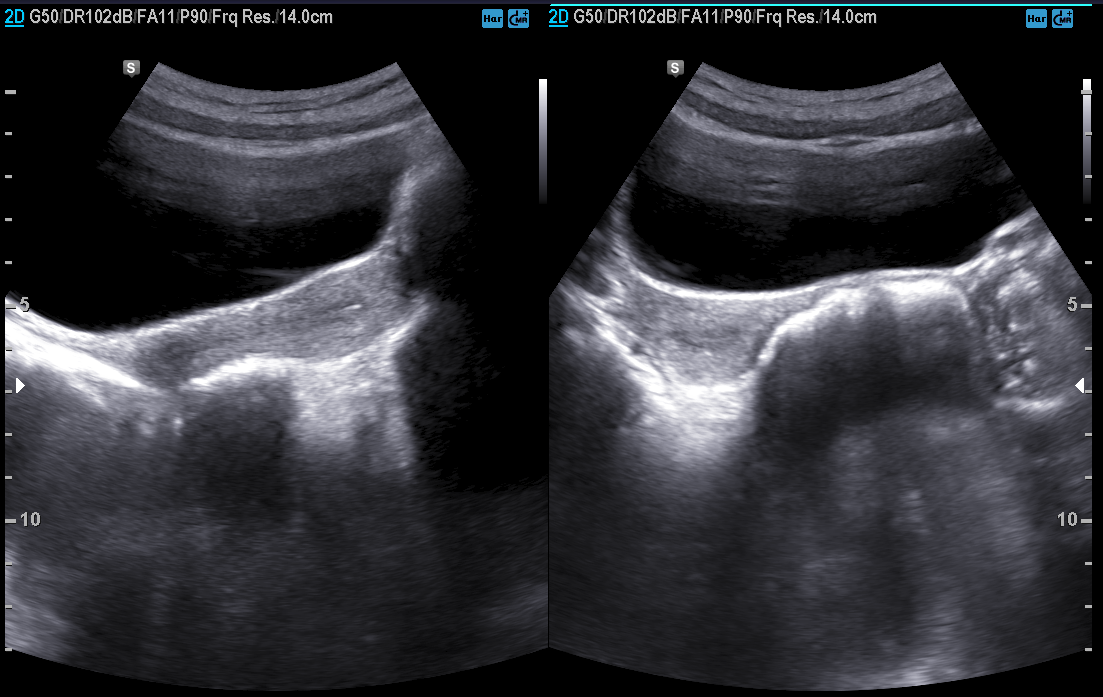
{"modality": {"type": "genitourinary ultrasound"}}